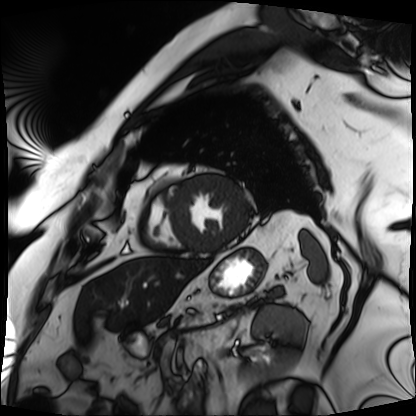
<study>
<modality>cardiac MRI</modality>
<cohort>patient</cohort>
</study>